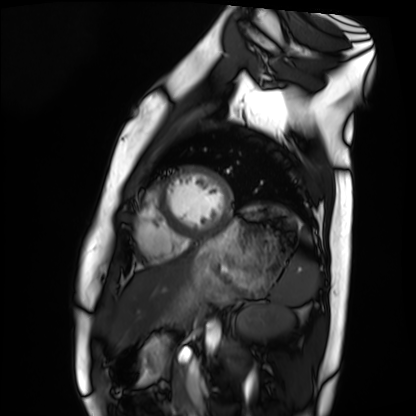
modality: cardiac MRI | subject group: healthy volunteer.